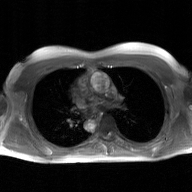
2D phase-contrast cine MRI of the ascending aorta, GAN super-resolution reconstruction.